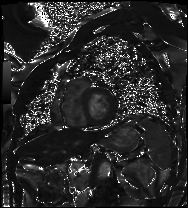
{
  "modality": "cardiac MRI",
  "cohort": "patient"
}